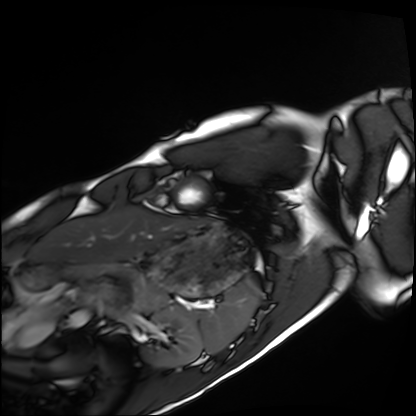
Clinical context: Cardiac MRI. Subject group: healthy volunteer.